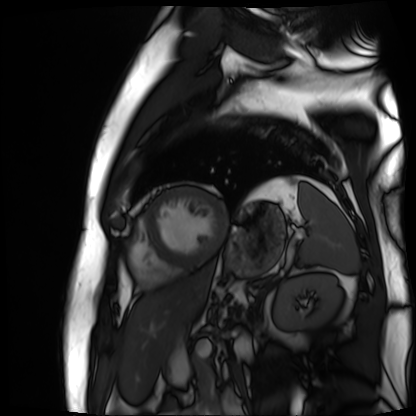
- modality · cardiac MR image of the myocardium
- subject cohort · cardiac patient